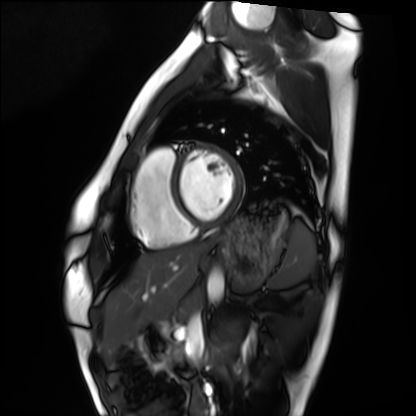
Case:
• modality: cardiac MRI
• subject group: healthy volunteer